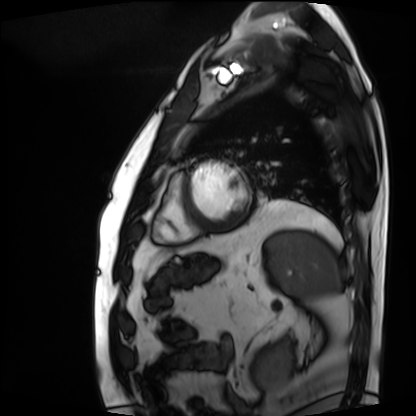
modality = cardiac MRI, subject group = patient.